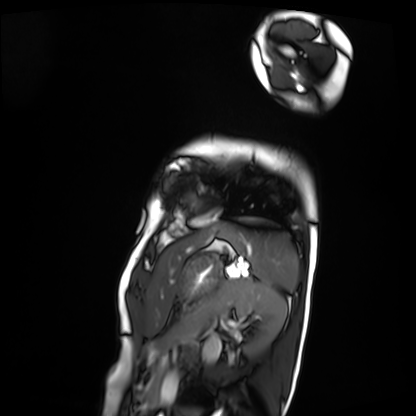
<case>
<modality>cardiac MRI</modality>
<cohort>patient</cohort>
</case>